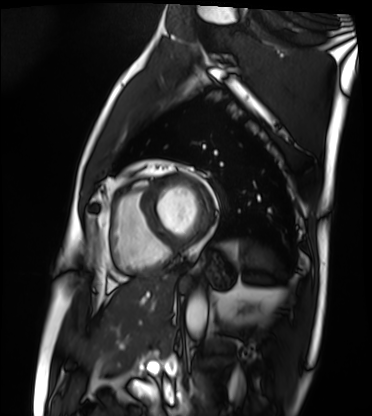
<scan>
  <modality>cardiac MRI</modality>
  <cohort>patient</cohort>
</scan>